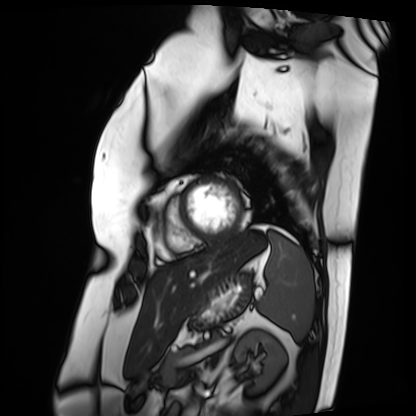
modality = cardiac MRI | subject group = patient.